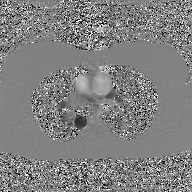
{"modality": {"type": "2D phase-contrast cine MRI", "region": "ascending aorta", "reconstruction": "GAN super-resolution reconstruction"}}